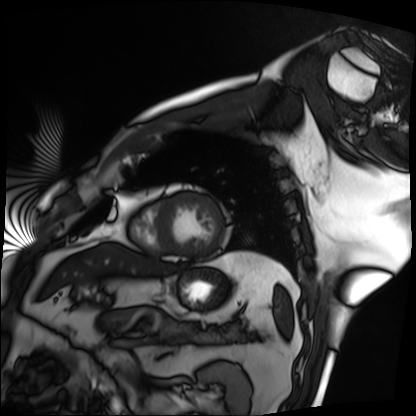
<scan>
  <modality>cardiac MRI</modality>
  <cohort>patient</cohort>
</scan>